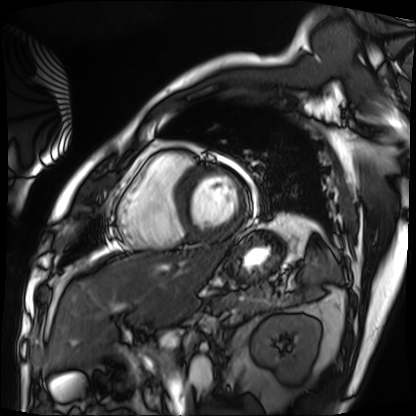
Cardiac MRI. Subject group: patient.